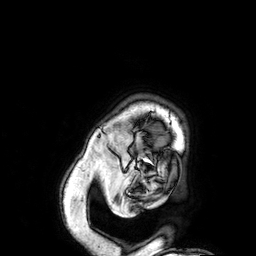
modality = 3 Tesla brain MRI; study = ring-enhancing brain masses.